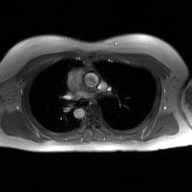
modality — 2D phase-contrast cine MRI of the ascending aorta, GAN super-resolution reconstruction.